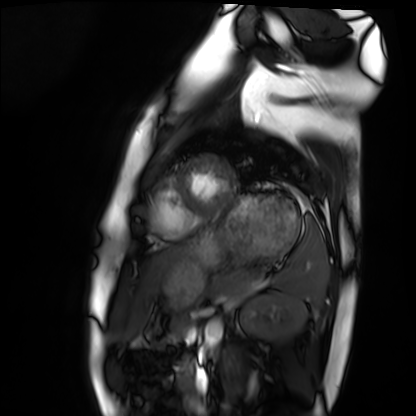
| field | value |
|---|---|
| modality | cardiac MRI |
| subject group | healthy volunteer |